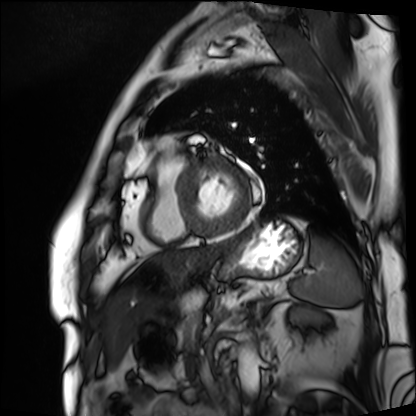
– modality — cardiac MRI
– subject group — patient